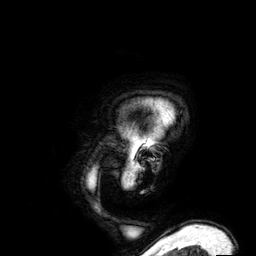
Summary: 3 Tesla brain MRI. Series: 3D T1-weighted. Study: ring-enhancing brain masses.